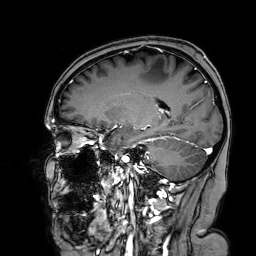
– modality — 3 Tesla brain MRI
– series — 3D T1-weighted turbo field echo with SENSE
– study — ring-enhancing brain masses